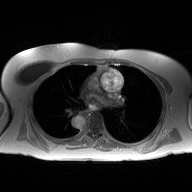
Q: What kind of scan is this?
A: 2D phase-contrast cine MRI of the ascending aorta.